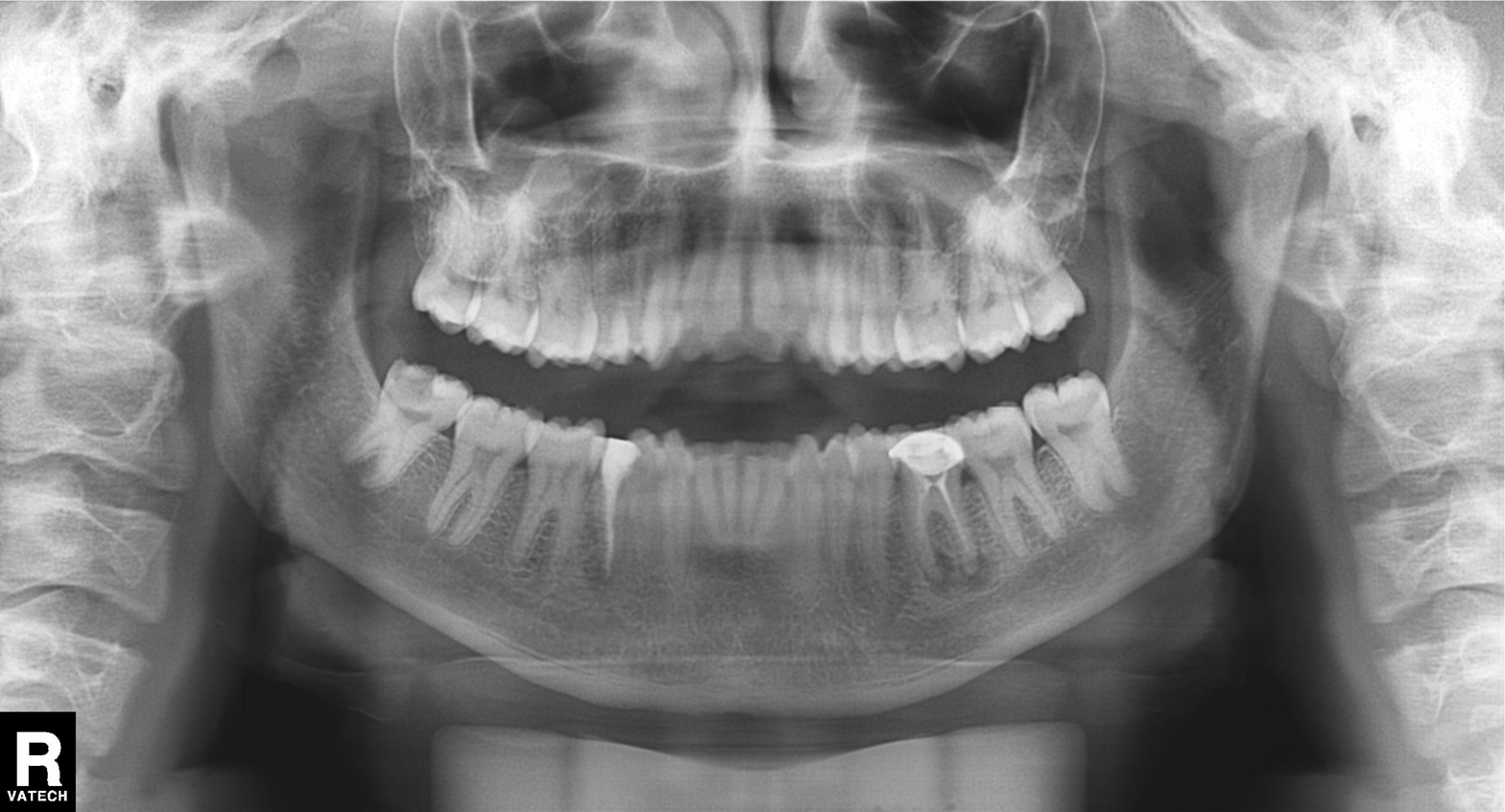
Summary: Panoramic dental radiograph (orthopantomogram).
Assessment: Alveolar bone loss.